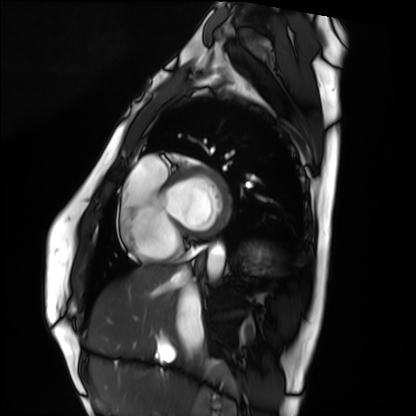
Case summary:
Cardiac MRI. Subject group: healthy volunteer.